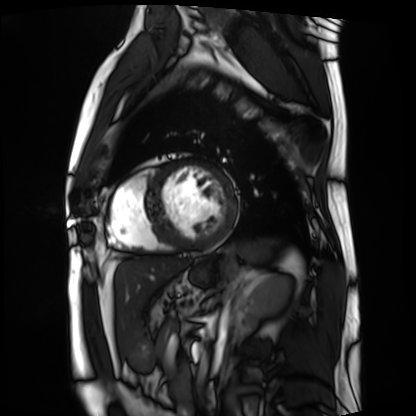
Cardiac MRI.
Subject group: patient.